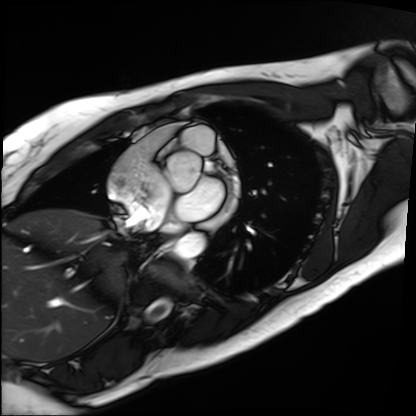
Cardiac MRI.
Subject group: patient.